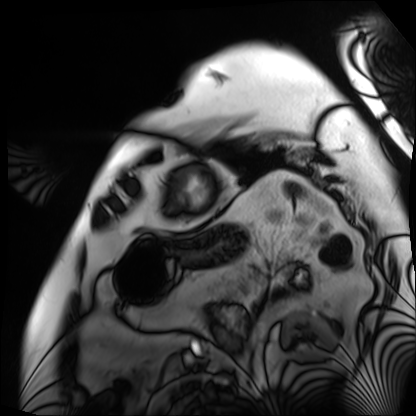
Clinical context: Cardiac MRI. Subject group: patient.